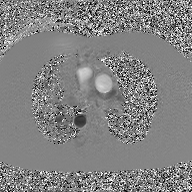
Summary:
2D phase-contrast cine MRI of the ascending aorta, GAN super-resolution reconstruction.